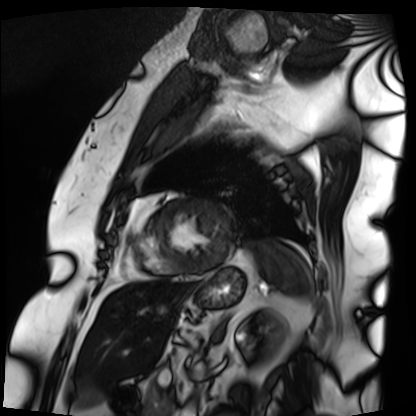
Cardiac MRI. Subject group: patient.